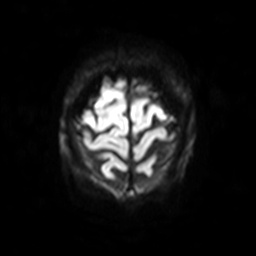
Case summary: 3 Tesla brain MRI. Series: diffusion-weighted imaging with SENSE (WIP). Study: ring-enhancing brain masses.